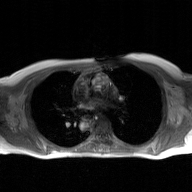
* modality — 2D phase-contrast cine MRI of the ascending aorta, GAN super-resolution reconstruction